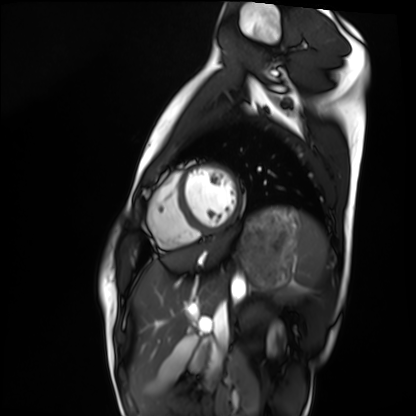
Q: What kind of scan is this?
A: Cardiac MRI.
Subject group: healthy volunteer.